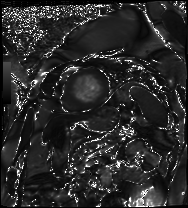
Clinical context: Cardiac MRI. Subject group: patient.